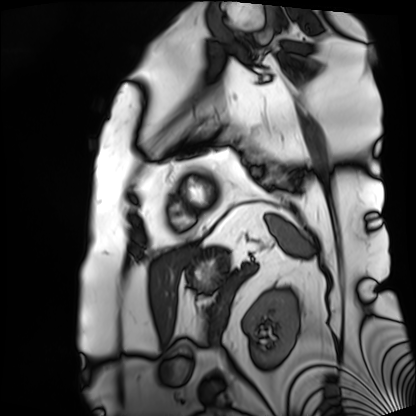
Cardiac MRI. Subject group: patient.